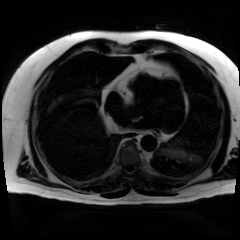
Case:
- modality — chemical-shift-encoded cardiac MRI